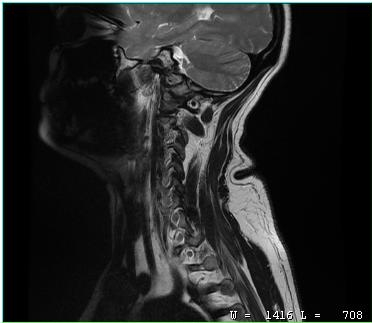
Q: What kind of scan is this?
A: MRI of the cervical spine.
Study: cervical spondylosis.